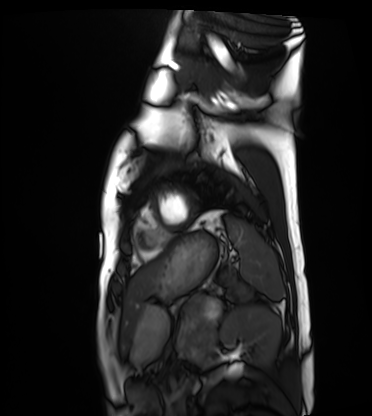
Case:
• modality · cardiac MRI
• subject group · healthy volunteer